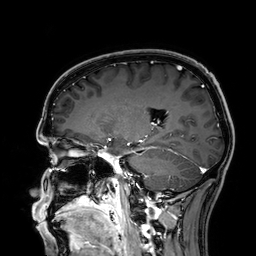
  modality:
    type: brain MRI
    field_strength: 3T
  series: 3D T1-weighted
  study_topic: ring-enhancing brain masses